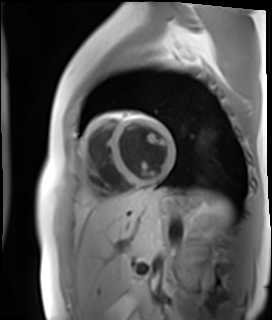
Cardiac MR image of the myocardium. Subject cohort: healthy volunteer.